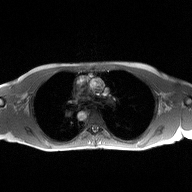
Q: What kind of scan is this?
A: 2D phase-contrast cine MRI of the ascending aorta.